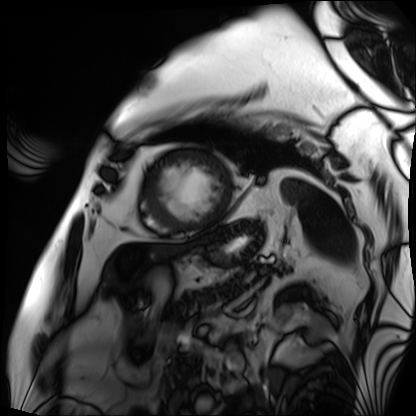
– modality — cardiac MRI
– subject group — patient